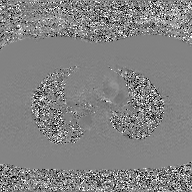
{
  "modality": {
    "type": "2D phase-contrast cine MRI",
    "region": "ascending aorta",
    "reconstruction": "GAN super-resolution reconstruction"
  }
}